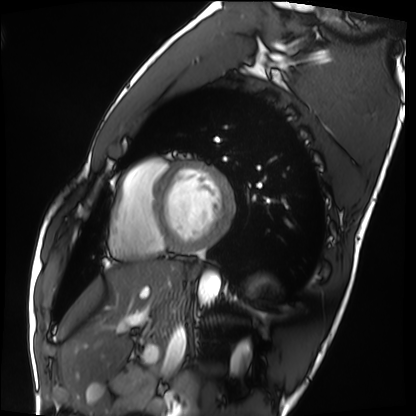
Cardiac MRI. Subject group: healthy volunteer.